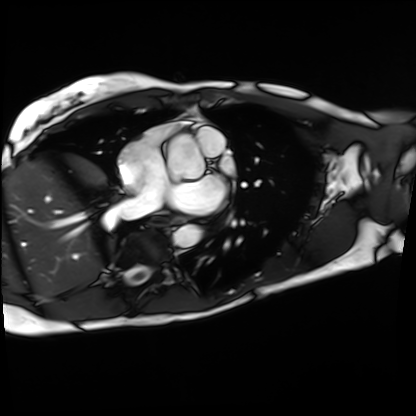
modality: cardiac MRI
subject group: patient